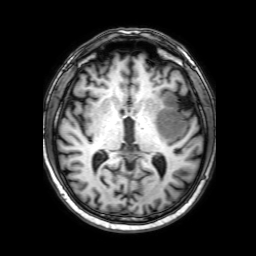
3 Tesla brain MRI.
Series: 3D T1-weighted with SENSE.
Study: ring-enhancing brain masses.